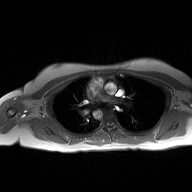
modality = 2D phase-contrast cine MRI of the ascending aorta